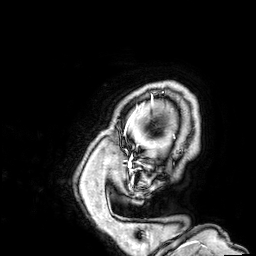
3 Tesla brain MRI. Series: 3D T1-weighted. Study: ring-enhancing brain masses.